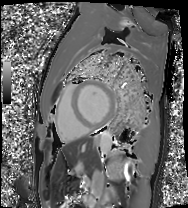
  modality: cardiac MRI
  cohort: patient